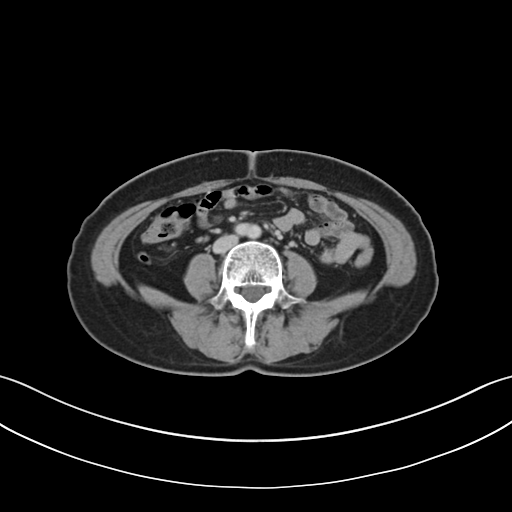
Multiphase abdominal CT, liver, delayed phase. Patient: female, age 58.